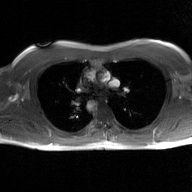
| field | value |
|---|---|
| modality | 2D phase-contrast cine MRI of the ascending aorta, GAN super-resolution reconstruction |